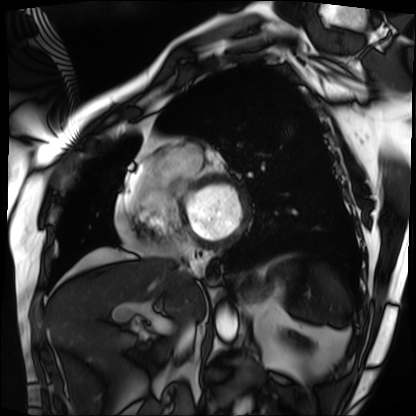
Cardiac MRI.
Subject group: patient.